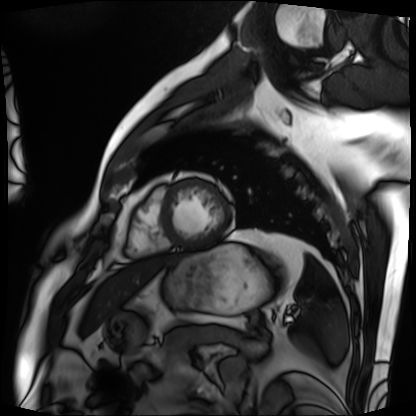
modality: cardiac MRI | subject group: patient.